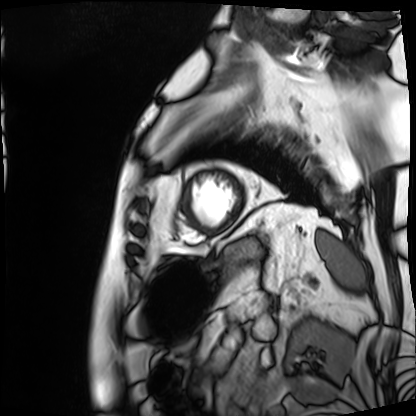
modality = cardiac MRI | subject group = patient.